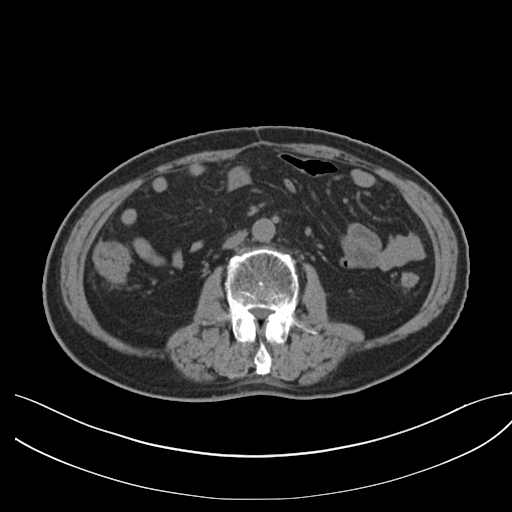
modality=multiphase abdominal CT, liver, non-contrast phase
patient=male, age 71